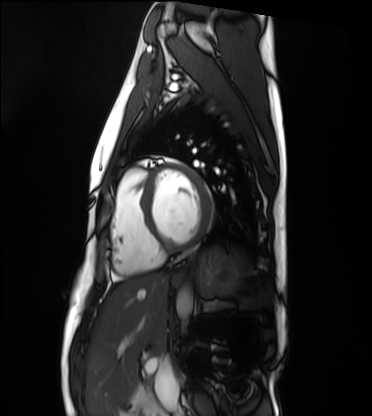
<study>
  <modality>cardiac MRI</modality>
  <cohort>healthy volunteer</cohort>
</study>